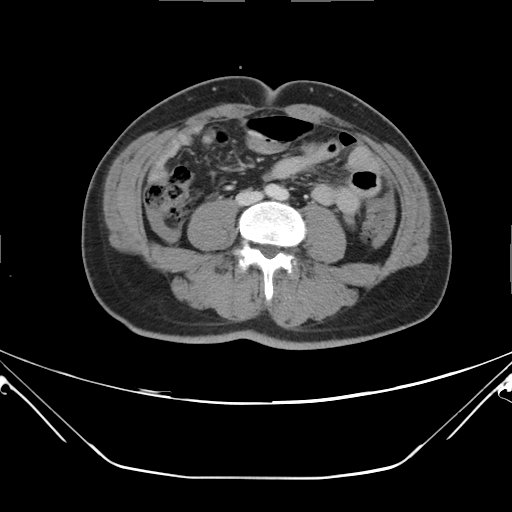
Summary:
Multiphase abdominal CT, liver, delayed phase. Patient: male, age 48. History: viral hepatitis.